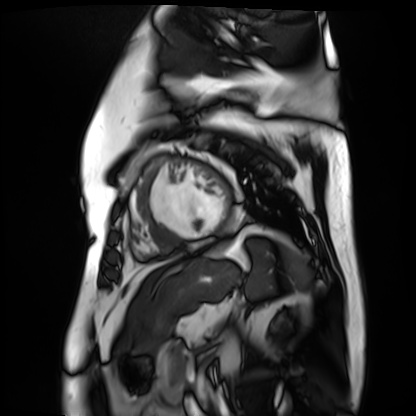
Case:
* modality — cardiac MR image of the myocardium
* subject cohort — cardiac patient